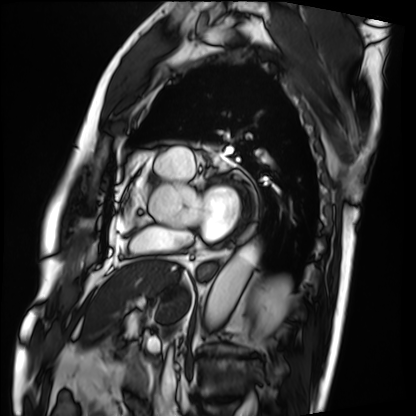
Cardiac MRI.
Subject group: patient.